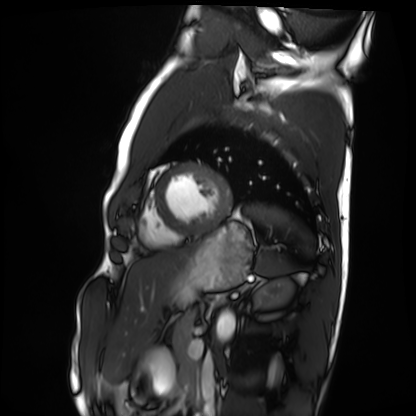
modality = cardiac MRI
subject group = healthy volunteer